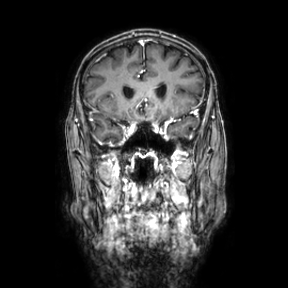
Summary: 3 Tesla brain MRI. Series: coronal. Study: ring-enhancing brain masses.